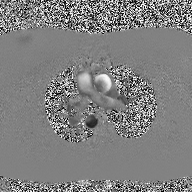
| field | value |
|---|---|
| modality | 2D phase-contrast cine MRI of the ascending aorta |